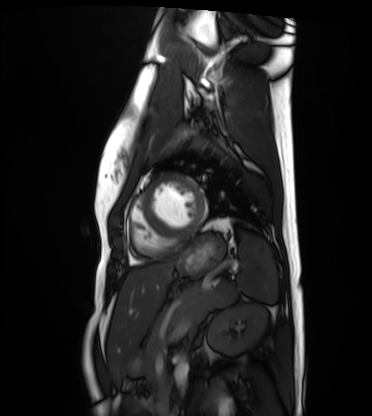
Summary:
Cardiac MRI. Subject group: healthy volunteer.